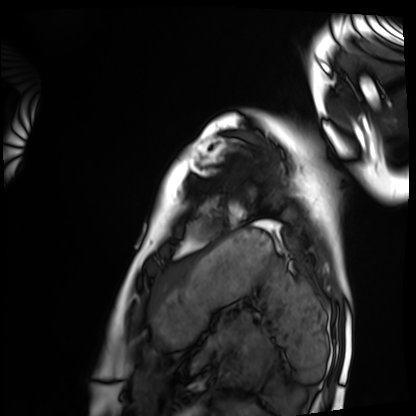
Case summary: Cardiac MRI. Subject group: healthy volunteer.